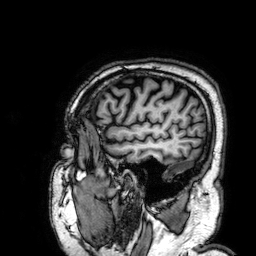
3 Tesla brain MRI. Series: 3D T1-weighted. Study: ring-enhancing brain masses.